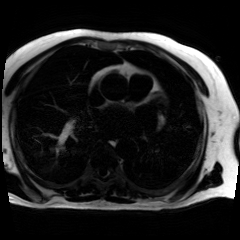
Q: What kind of scan is this?
A: Chemical-shift-encoded cardiac MRI.